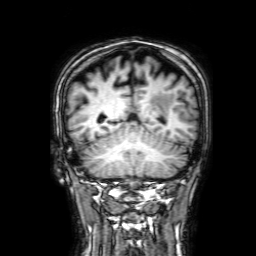
Case:
- modality — 3 Tesla brain MRI
- series — 3D T1-weighted with SENSE
- study — ring-enhancing brain masses